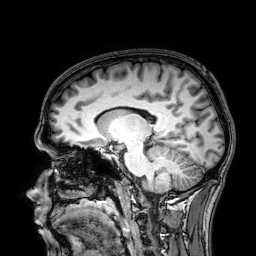
  modality:
    type: brain MRI
    field_strength: 3T
  series: 3D T1-weighted
  study_topic: ring-enhancing brain masses